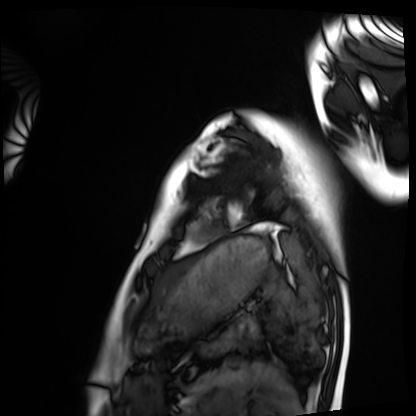
Q: What kind of scan is this?
A: Cardiac MRI.
Subject group: healthy volunteer.